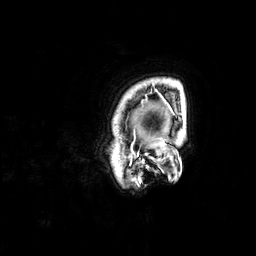
{
  "modality": {
    "type": "brain MRI",
    "field_strength": "3T"
  },
  "series": "3D T1-weighted",
  "study_topic": "ring-enhancing brain masses"
}